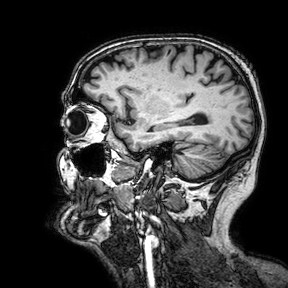
Clinical context: 3 Tesla brain MRI. Study: ring-enhancing brain masses.